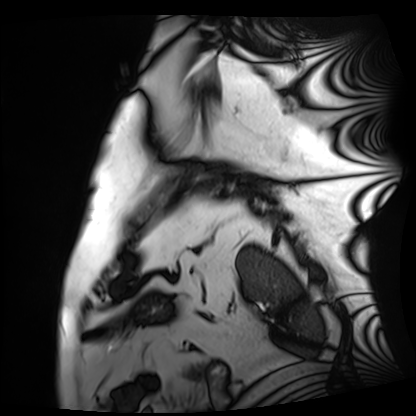
Cardiac MRI.
Subject group: patient.